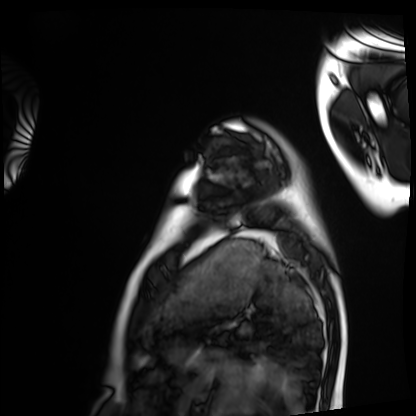
Clinical context:
Cardiac MRI. Subject group: healthy volunteer.